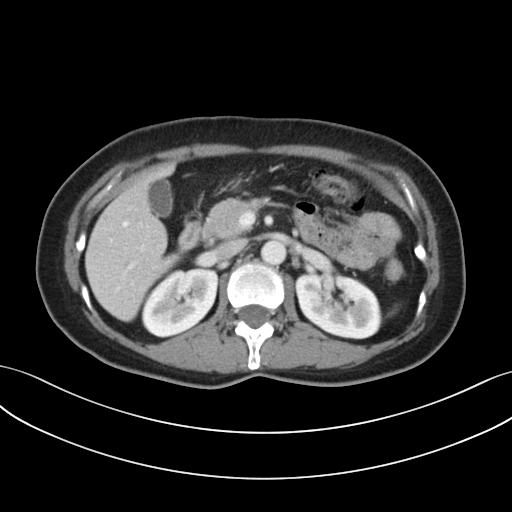
Summary: Multiphase abdominal CT, liver, portal venous phase. Patient: female, age 53. History: prior chemotherapy.